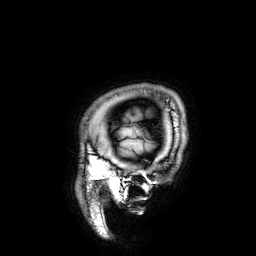
- modality: 3 Tesla brain MRI
- series: 3D T1-weighted
- study: ring-enhancing brain masses